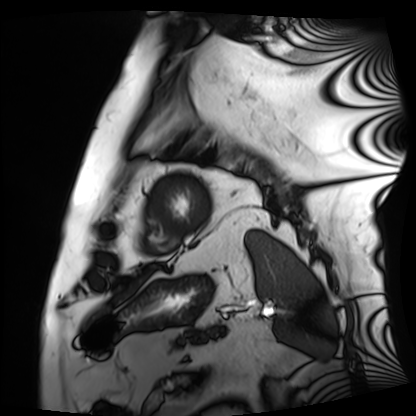
<case>
  <modality>cardiac MRI</modality>
  <cohort>patient</cohort>
</case>